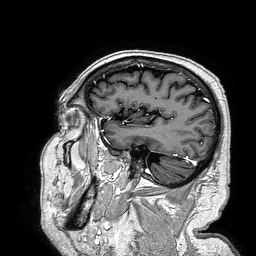
3 Tesla brain MRI. Study: ring-enhancing brain masses.